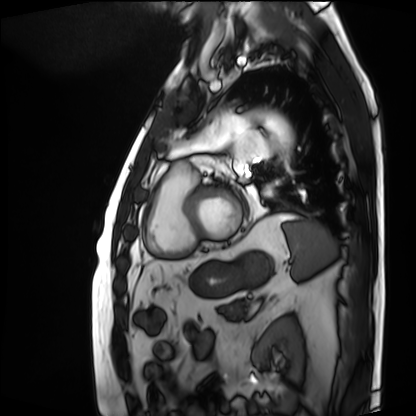
Q: What kind of scan is this?
A: Cardiac MRI.
Subject group: patient.